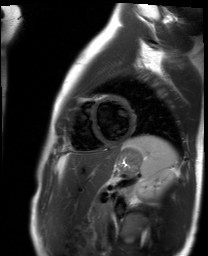
Case summary: Cardiac MR image of the myocardium. Subject cohort: healthy volunteer.